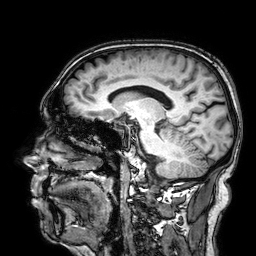
<case>
  <modality>
    <type>brain MRI</type>
    <field_strength>3T</field_strength>
  </modality>
  <series>3D T1-weighted</series>
  <study_topic>ring-enhancing brain masses</study_topic>
</case>